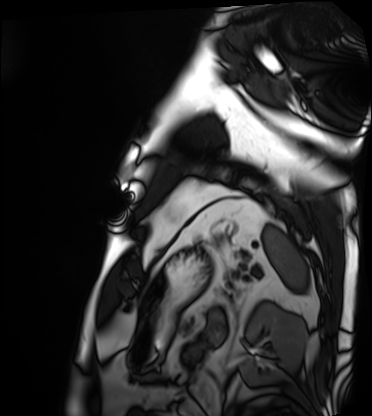
Case summary: Cardiac MRI. Subject group: patient.